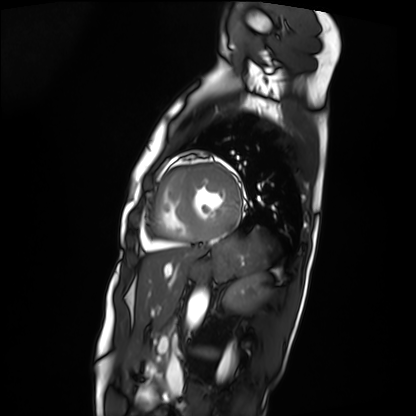
Cardiac MRI.
Subject group: patient.